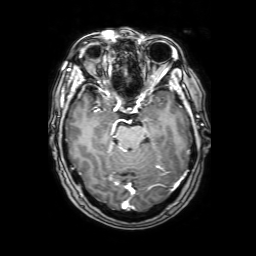
3 Tesla brain MRI. Series: 3D T1-weighted with SENSE. Study: ring-enhancing brain masses.